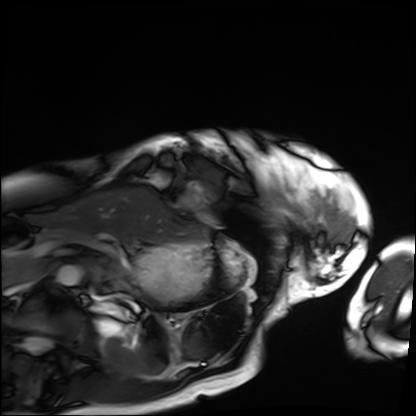
| field | value |
|---|---|
| modality | cardiac MRI |
| subject group | patient |